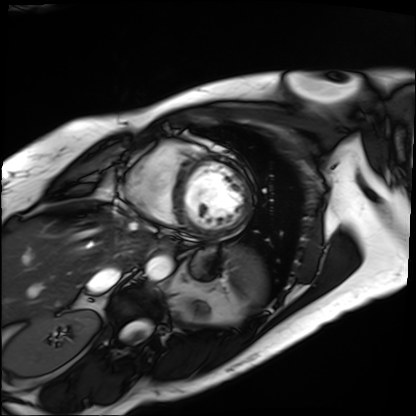
Cardiac MRI.
Subject group: patient.